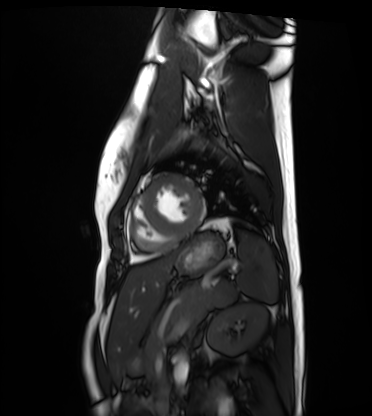
{"modality": "cardiac MRI", "cohort": "healthy volunteer"}